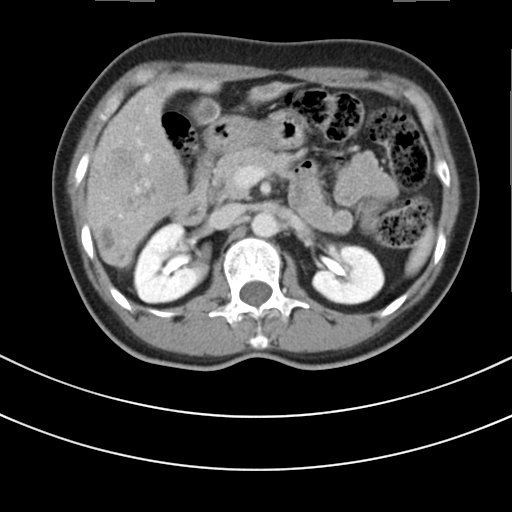
modality — multiphase abdominal CT, liver, delayed phase; patient — female, age 48; history — prior chemotherapy.